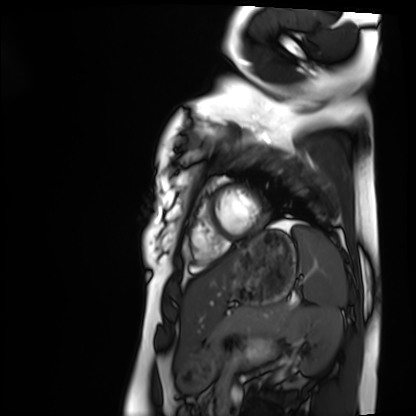
Cardiac MRI. Subject group: healthy volunteer.